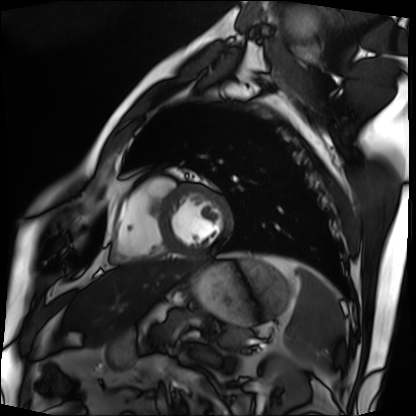
modality — cardiac MRI | subject group — patient.